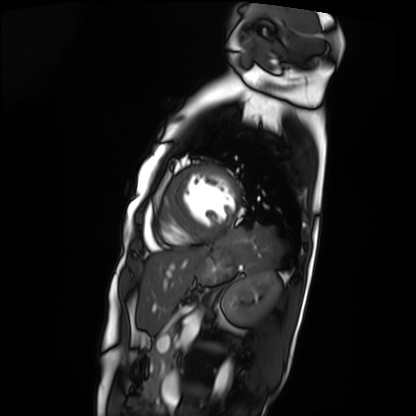
Case summary: Cardiac MRI. Subject group: patient.